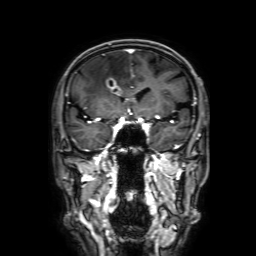
3 Tesla brain MRI. Series: 3D T1-weighted with SENSE. Study: ring-enhancing brain masses.